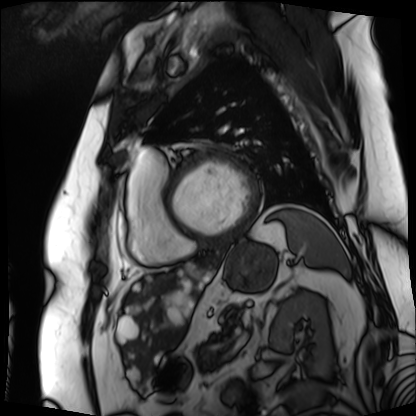
Q: What kind of scan is this?
A: Cardiac MRI.
Subject group: patient.